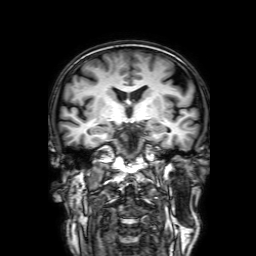
modality = 3 Tesla brain MRI
series = 3D T1-weighted with SENSE
study = ring-enhancing brain masses